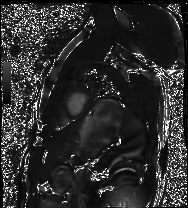
modality — cardiac MRI
subject group — healthy volunteer